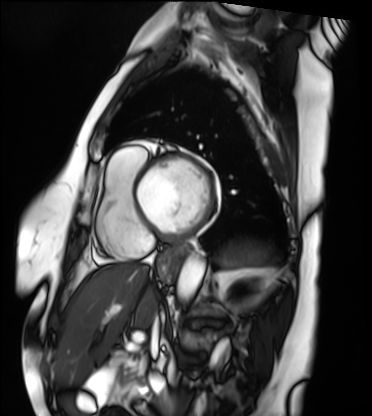
Summary:
Cardiac MRI. Subject group: patient.